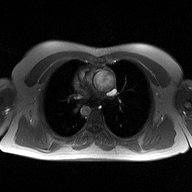
<case>
<modality>
  <type>2D phase-contrast cine MRI</type>
  <region>ascending aorta</region>
  <reconstruction>high-resolution GRAPPA acquisition</reconstruction>
</modality>
</case>